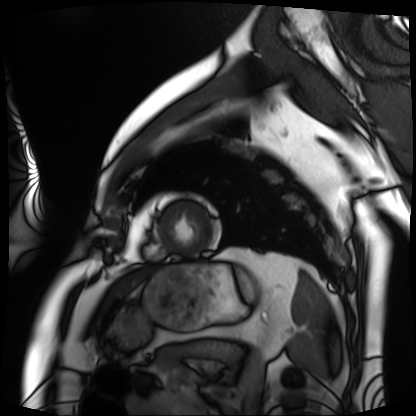
modality = cardiac MRI
subject group = patient